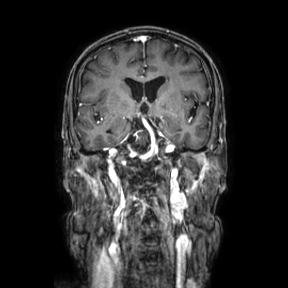
Case summary:
3 Tesla brain MRI. Series: coronal. Study: ring-enhancing brain masses.